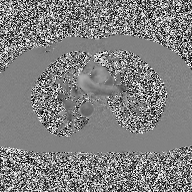
2D phase-contrast cine MRI of the ascending aorta, high-resolution GRAPPA acquisition.